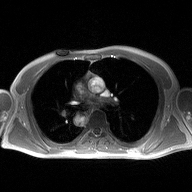
Q: What kind of scan is this?
A: 2D phase-contrast cine MRI of the ascending aorta.